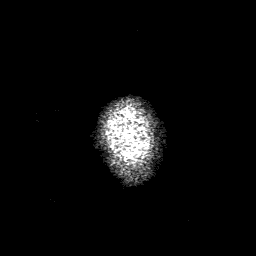
3 Tesla brain MRI. Series: 3D T1-weighted with SENSE. Study: ring-enhancing brain masses.